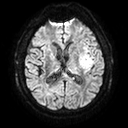
<record>
  <modality>
    <type>brain MRI</type>
    <field_strength>3T</field_strength>
  </modality>
  <series>diffusion tensor imaging (medium iso)</series>
  <study_topic>ring-enhancing brain masses</study_topic>
</record>